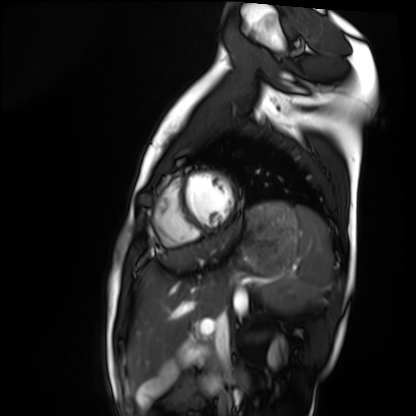
{
  "modality": "cardiac MRI",
  "cohort": "healthy volunteer"
}